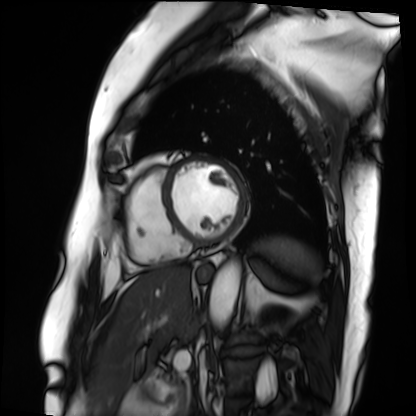
Clinical context: Cardiac MRI. Subject group: patient.